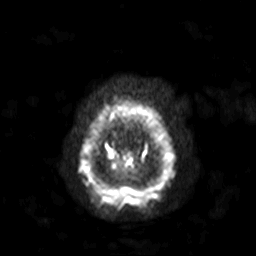
Q: What kind of scan is this?
A: 3 Tesla brain MRI.
Q: Series?
A: Diffusion-weighted imaging with SENSE (WIP).
Study: ring-enhancing brain masses.